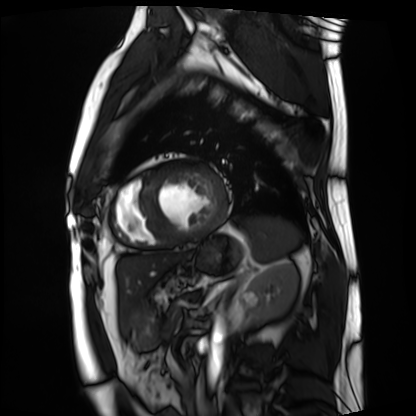
Cardiac MRI. Subject group: patient.